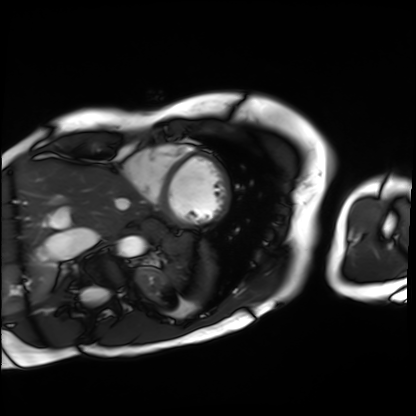
{
  "modality": "cardiac MRI",
  "cohort": "patient"
}